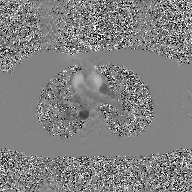
Summary:
2D phase-contrast cine MRI of the ascending aorta, GAN super-resolution reconstruction.